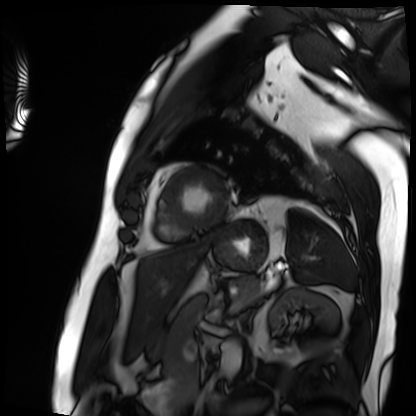
modality = cardiac MRI
subject group = patient